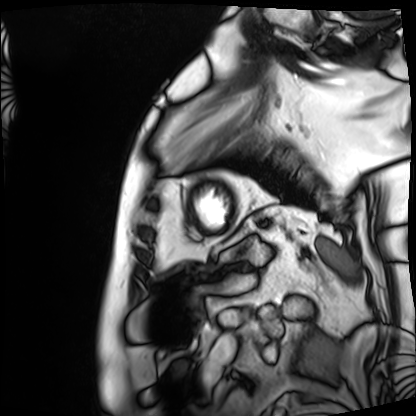
Cardiac MRI. Subject group: patient.